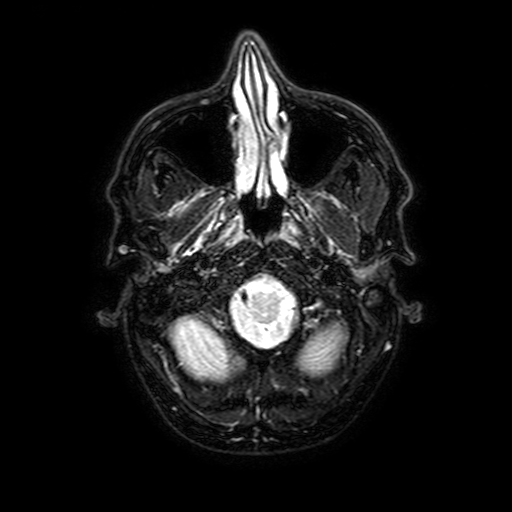
{
  "modality": {
    "type": "brain MRI",
    "field_strength": "3T"
  },
  "series": "FLAIR with SPAIR, 3 mm",
  "study_topic": "ring-enhancing brain masses"
}